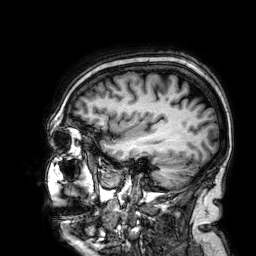
| field | value |
|---|---|
| modality | 3 Tesla brain MRI |
| series | 3D T1-weighted |
| study | ring-enhancing brain masses |